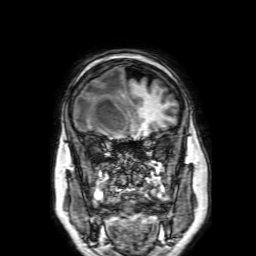
Case:
- modality · 3 Tesla brain MRI
- series · 3D T1-weighted with SENSE
- study · ring-enhancing brain masses